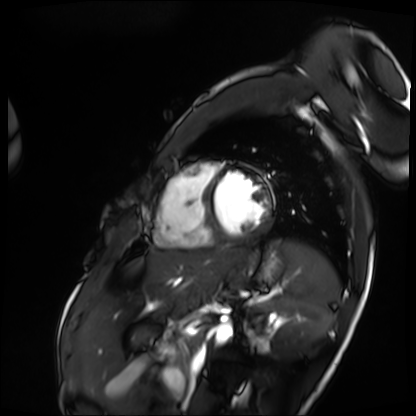
Summary:
Cardiac MRI. Subject group: patient.